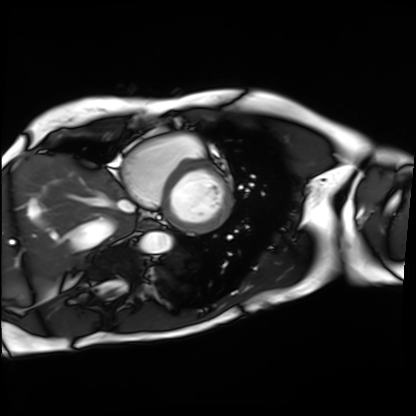
Q: What kind of scan is this?
A: Cardiac MRI.
Subject group: patient.